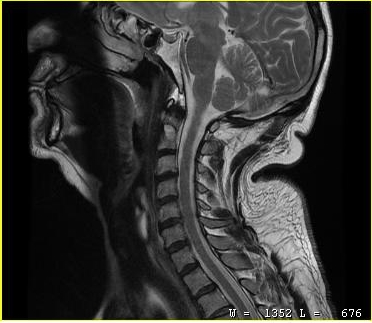
  modality:
    type: cervical spine MRI
  study_topic: cervical spondylosis